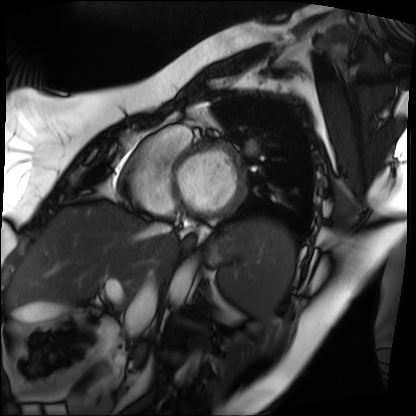
Q: What kind of scan is this?
A: Cardiac MRI.
Subject group: patient.